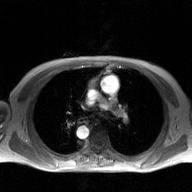
  modality:
    type: 2D phase-contrast cine MRI
    region: ascending aorta
    reconstruction: GAN super-resolution reconstruction